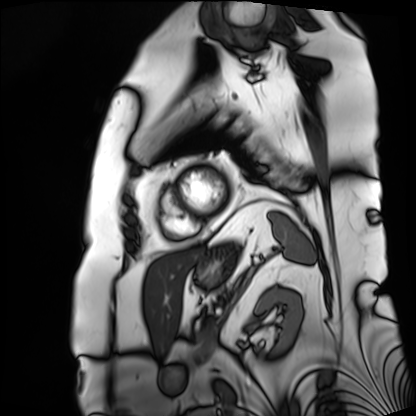
Cardiac MRI.
Subject group: patient.